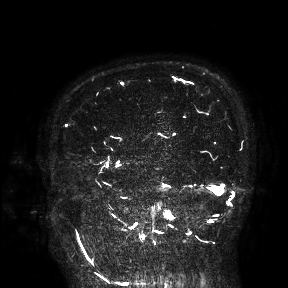
3 Tesla brain MRI. Study: ring-enhancing brain masses.